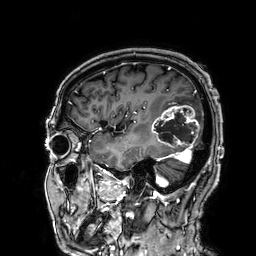
3 Tesla brain MRI. Series: 3D T1-weighted. Study: ring-enhancing brain masses.